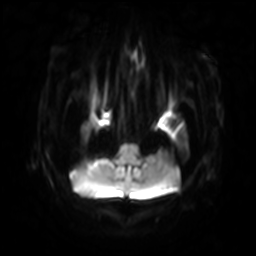
Case:
– modality: 3 Tesla brain MRI
– study: ring-enhancing brain masses